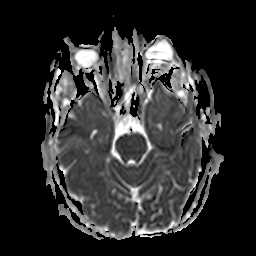
3 Tesla brain MRI.
Series: apparent diffusion coefficient (ADC) map.
Study: ring-enhancing brain masses.